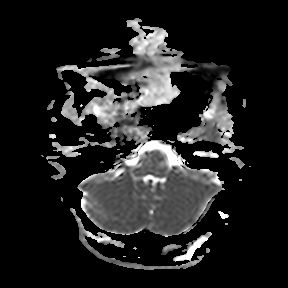
modality:
  type: brain MRI
  field_strength: 3T
series: apparent diffusion coefficient (ADC) map
study_topic: ring-enhancing brain masses